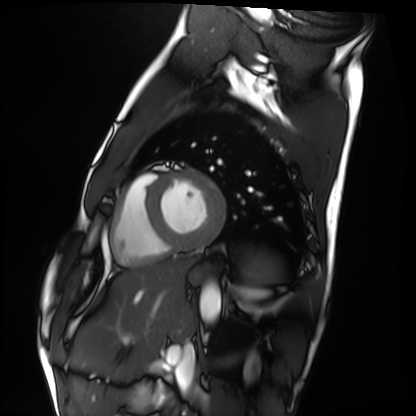
Cardiac MRI. Subject group: healthy volunteer.